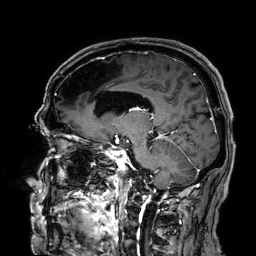
Clinical context: 3 Tesla brain MRI. Series: 3D T1-weighted. Study: ring-enhancing brain masses.